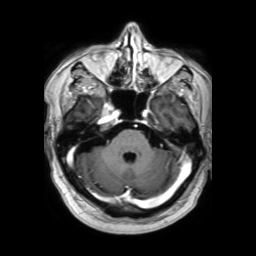
3 Tesla brain MRI. Series: 3D T1-weighted TFE with SENSE. Study: ring-enhancing brain masses.